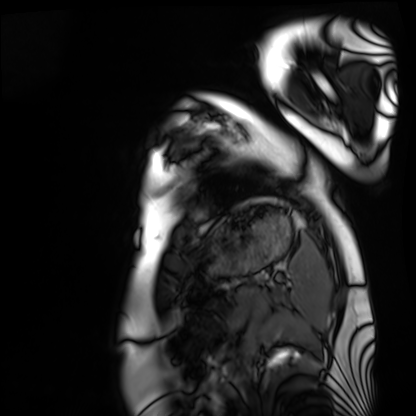
Q: What kind of scan is this?
A: Cardiac MRI.
Subject group: healthy volunteer.